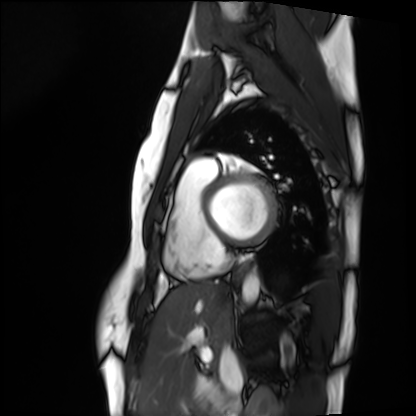
Cardiac MRI. Subject group: healthy volunteer.